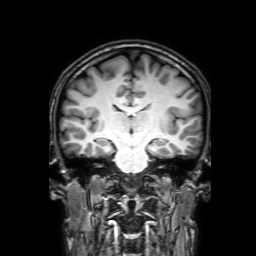
3 Tesla brain MRI. Series: 3D T1-weighted with SENSE. Study: ring-enhancing brain masses.